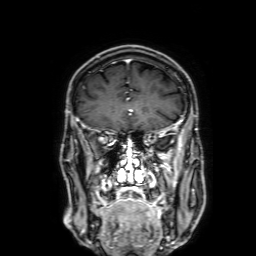
3 Tesla brain MRI.
Study: ring-enhancing brain masses.